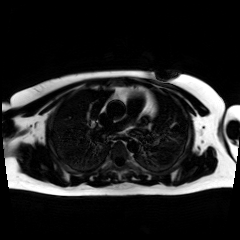
| field | value |
|---|---|
| modality | chemical-shift-encoded cardiac MRI |